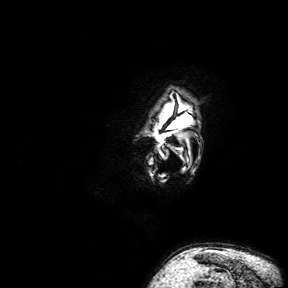
<case>
<modality>
  <type>brain MRI</type>
  <field_strength>3T</field_strength>
</modality>
<series>3D T1-weighted turbo field echo with SENSE</series>
<study_topic>ring-enhancing brain masses</study_topic>
</case>